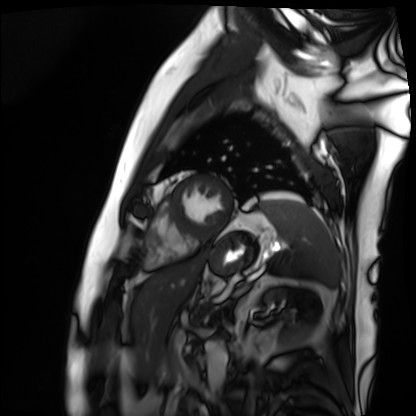
Cardiac MRI.
Subject group: patient.